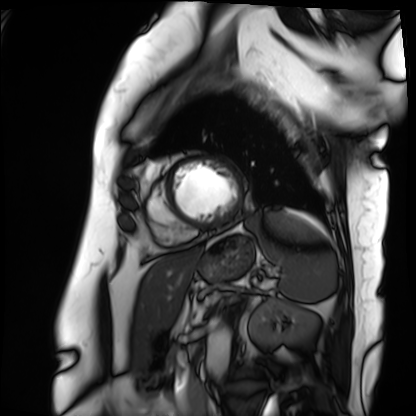
Summary:
Cardiac MRI. Subject group: patient.